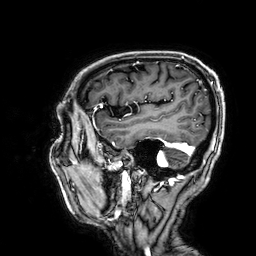
3 Tesla brain MRI. Series: 3D T1-weighted. Study: ring-enhancing brain masses.